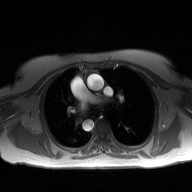
modality:
  type: 2D phase-contrast cine MRI
  region: ascending aorta
  reconstruction: high-resolution GRAPPA acquisition